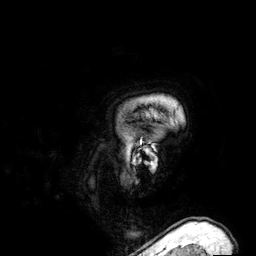
Q: What kind of scan is this?
A: 3 Tesla brain MRI.
Q: Series?
A: 3D T1-weighted.
Study: ring-enhancing brain masses.